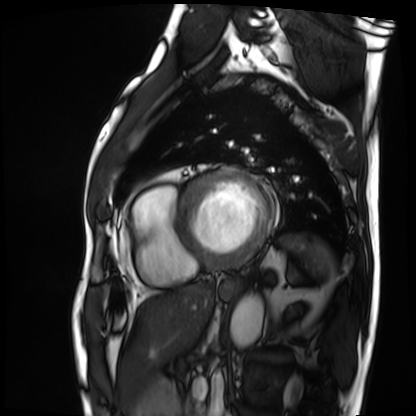
Summary:
Cardiac MRI. Subject group: patient.